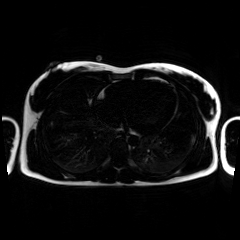
Chemical-shift-encoded cardiac MRI.